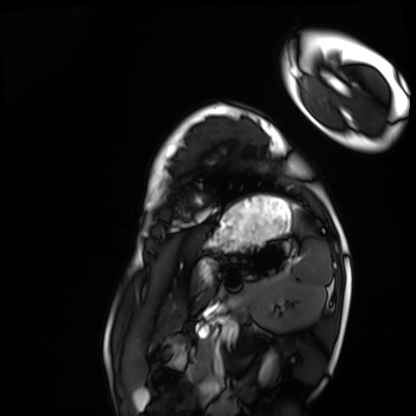
Summary: Cardiac MRI. Subject group: healthy volunteer.